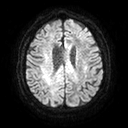
  modality:
    type: brain MRI
    field_strength: 3T
  series: diffusion tensor imaging (medium iso)
  study_topic: ring-enhancing brain masses